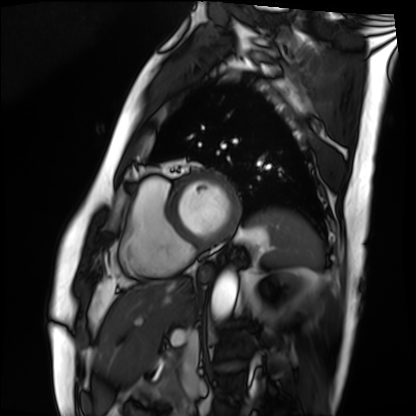
Cardiac MRI. Subject group: patient.